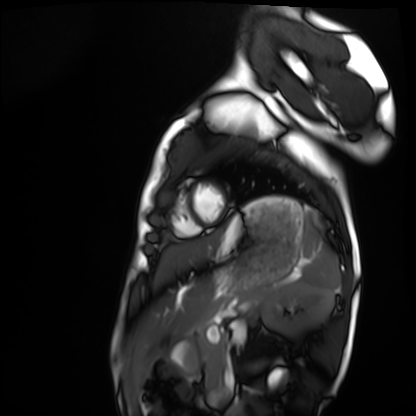
Cardiac MRI.
Subject group: healthy volunteer.